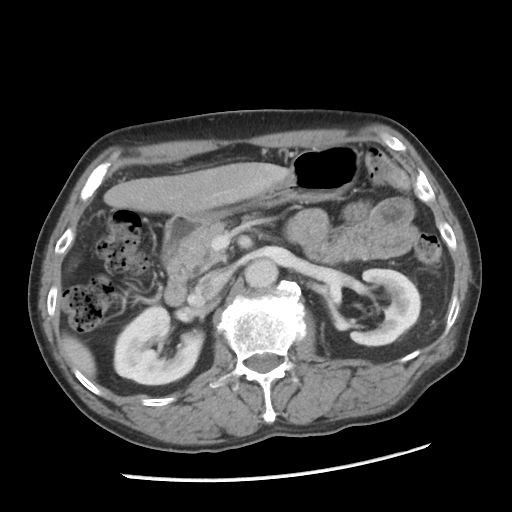
Multiphase abdominal CT, liver, portal venous phase.
Patient: male, age 67.